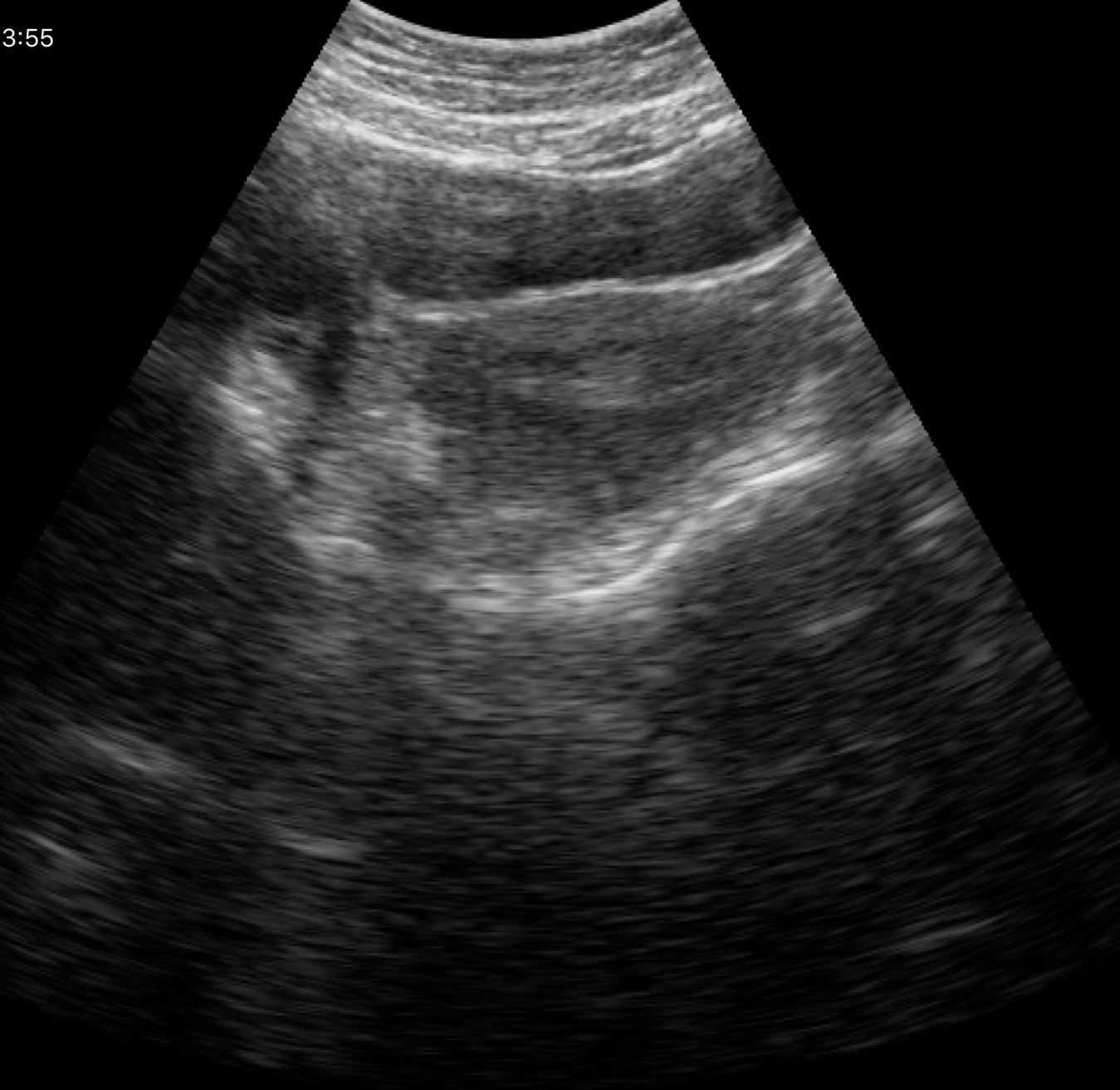
Q: What kind of scan is this?
A: Genitourinary ultrasound.